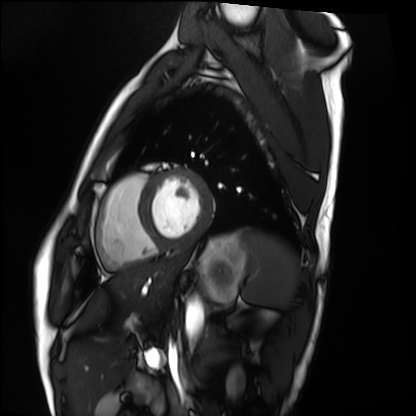
modality: cardiac MRI | subject group: healthy volunteer.